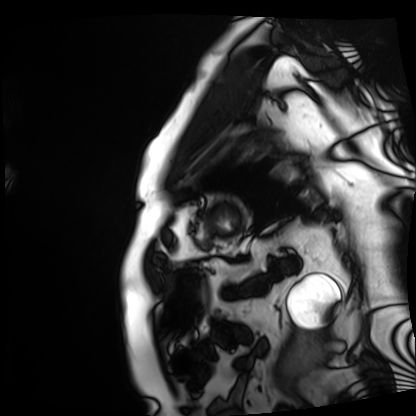
  modality: cardiac MRI
  cohort: patient